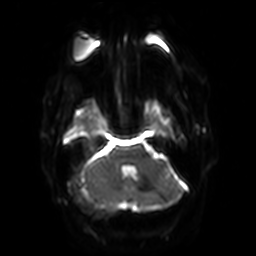
Q: What kind of scan is this?
A: 3 Tesla brain MRI.
Q: Series?
A: Diffusion-weighted imaging with SENSE (WIP).
Study: ring-enhancing brain masses.